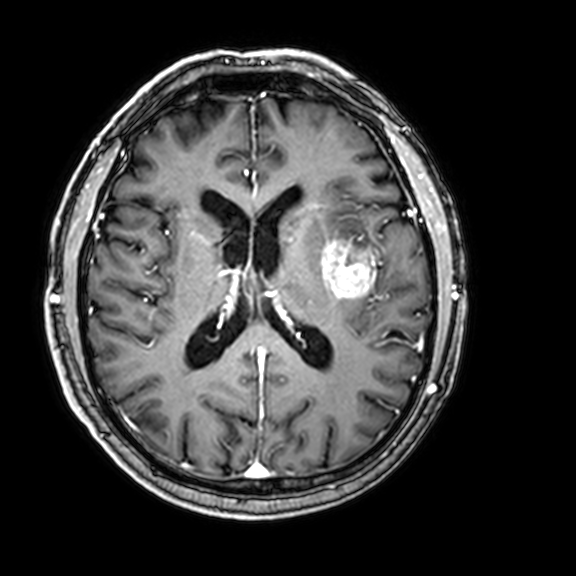
* modality — 3 Tesla brain MRI
* series — 3D T1-weighted with CLEAR
* study — ring-enhancing brain masses